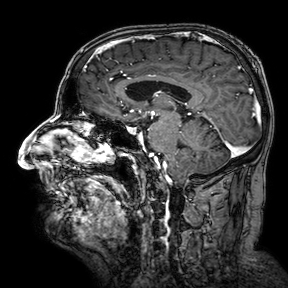
modality: 3 Tesla brain MRI | series: 3D T1-weighted turbo field echo with SENSE | study: ring-enhancing brain masses.